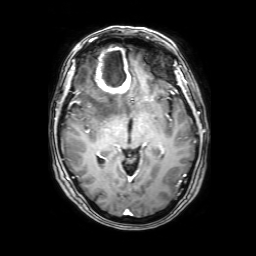
Q: What kind of scan is this?
A: 3 Tesla brain MRI.
Q: Series?
A: 3D T1-weighted with SENSE.
Study: ring-enhancing brain masses.